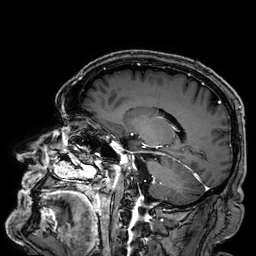
3 Tesla brain MRI. Series: 3D T1-weighted. Study: ring-enhancing brain masses.